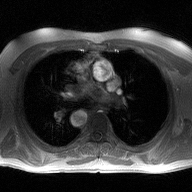
modality = 2D phase-contrast cine MRI of the ascending aorta.